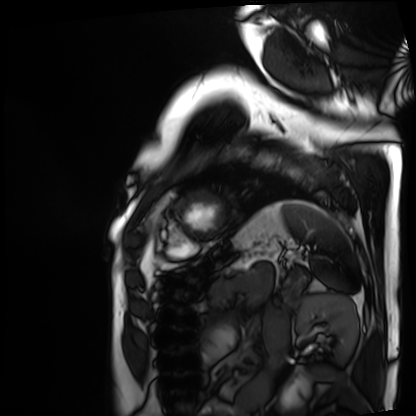
modality=cardiac MRI
subject group=patient